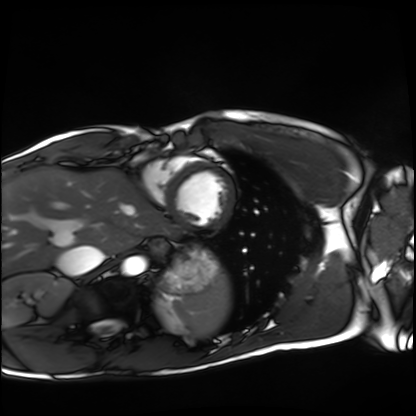
  modality: cardiac MRI
  cohort: healthy volunteer